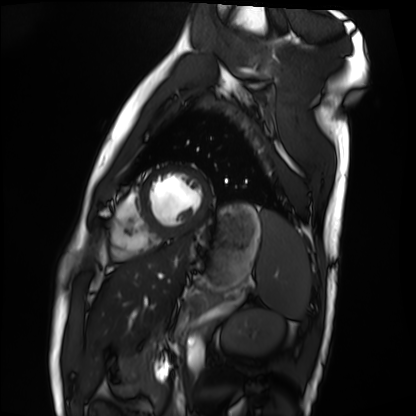
modality = cardiac MRI
subject group = healthy volunteer